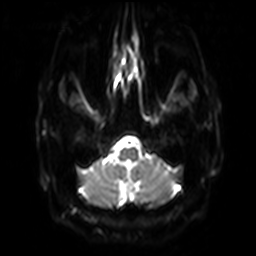
- modality — 3 Tesla brain MRI
- series — diffusion-weighted imaging with SENSE (WIP)
- study — ring-enhancing brain masses